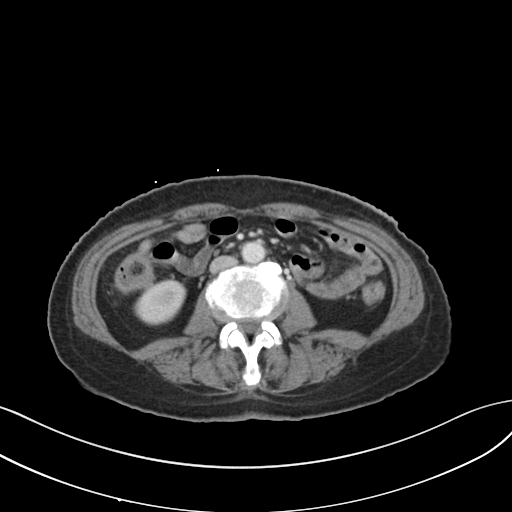
Summary:
Multiphase abdominal CT, liver, portal venous phase. Patient: female, age 58. History: prior chemotherapy.